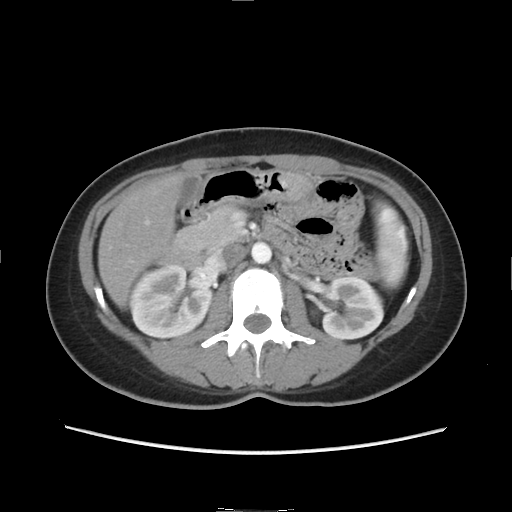
Multiphase abdominal CT, liver, arterial phase.
Patient: female, age 33.